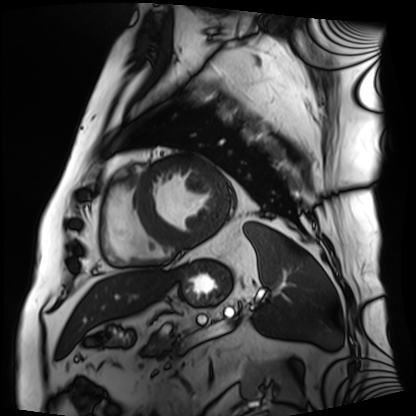
Cardiac MRI.
Subject group: patient.